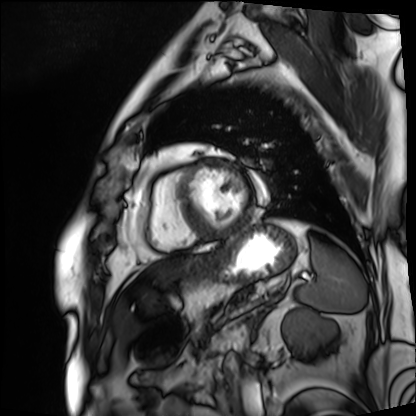
<study>
<modality>cardiac MRI</modality>
<cohort>patient</cohort>
</study>